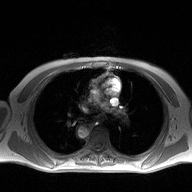
Clinical context:
2D phase-contrast cine MRI of the ascending aorta, high-resolution GRAPPA acquisition.